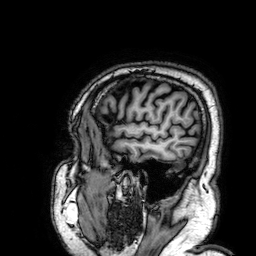
3 Tesla brain MRI.
Series: 3D T1-weighted.
Study: ring-enhancing brain masses.